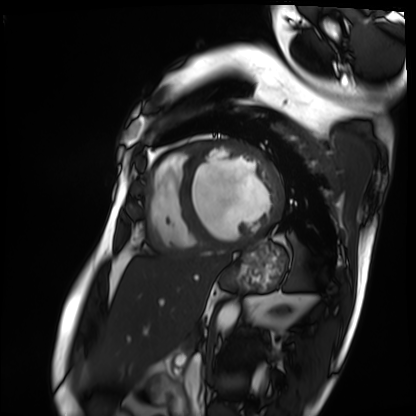
{
  "modality": "cardiac MRI",
  "cohort": "patient"
}